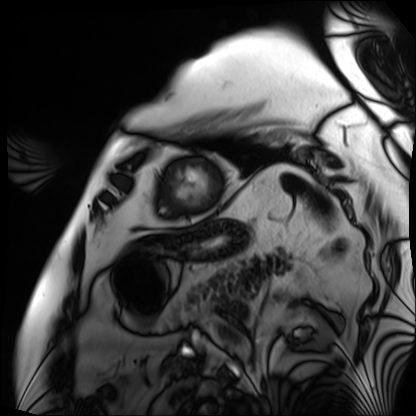
Case:
- modality · cardiac MRI
- subject group · patient